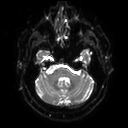
modality: 3 Tesla brain MRI; series: diffusion tensor imaging (medium iso); study: ring-enhancing brain masses.